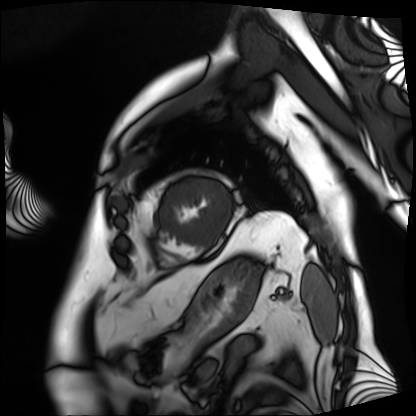
Cardiac MRI.
Subject group: patient.